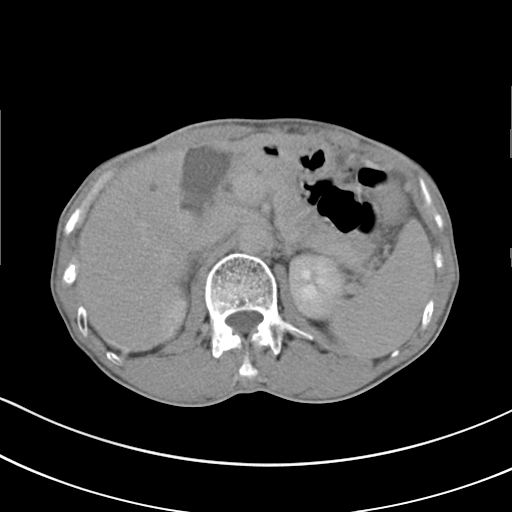
modality: multiphase abdominal CT, liver, delayed phase | patient: male, age 62.